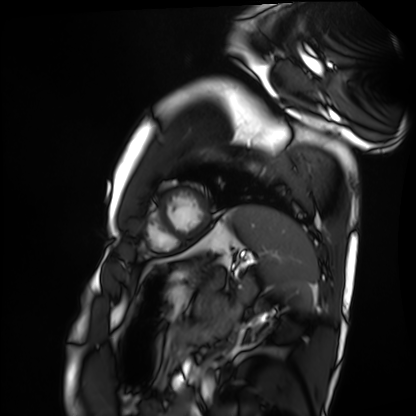
Clinical context:
Cardiac MRI. Subject group: healthy volunteer.